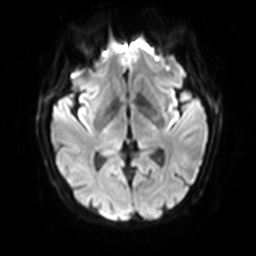
3 Tesla brain MRI. Series: diffusion-weighted imaging with SENSE (WIP). Study: ring-enhancing brain masses.